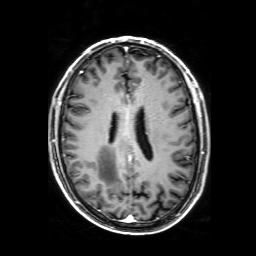
Clinical context: 3 Tesla brain MRI. Series: 3D T1-weighted with SENSE. Study: ring-enhancing brain masses.